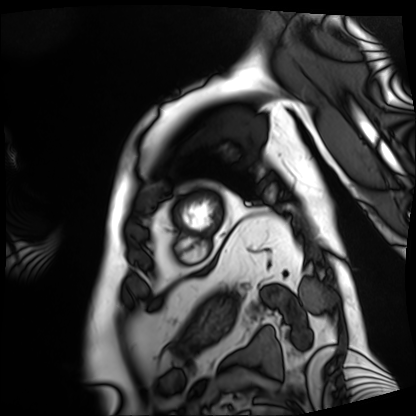
Summary:
Cardiac MRI. Subject group: patient.